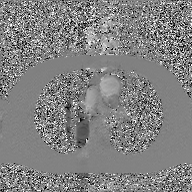
2D phase-contrast cine MRI of the ascending aorta, GAN super-resolution reconstruction.